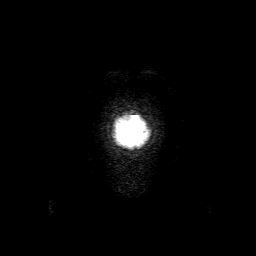
  modality:
    type: brain MRI
    field_strength: 3T
  series: 3D T1-weighted with SENSE
  study_topic: ring-enhancing brain masses